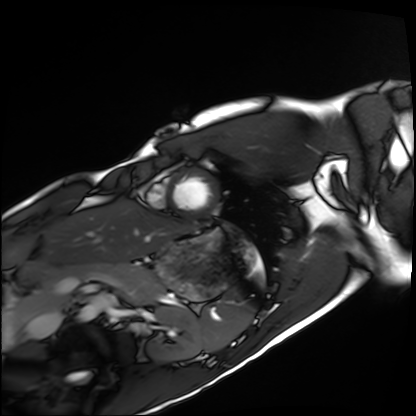
Cardiac MRI. Subject group: healthy volunteer.